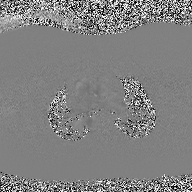
Q: What kind of scan is this?
A: 2D phase-contrast cine MRI of the ascending aorta.